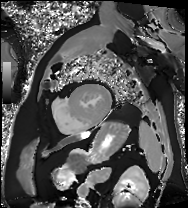
| field | value |
|---|---|
| modality | cardiac MRI |
| subject group | patient |